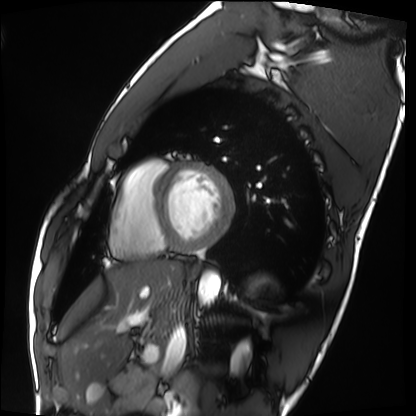
Clinical context:
Cardiac MRI. Subject group: healthy volunteer.